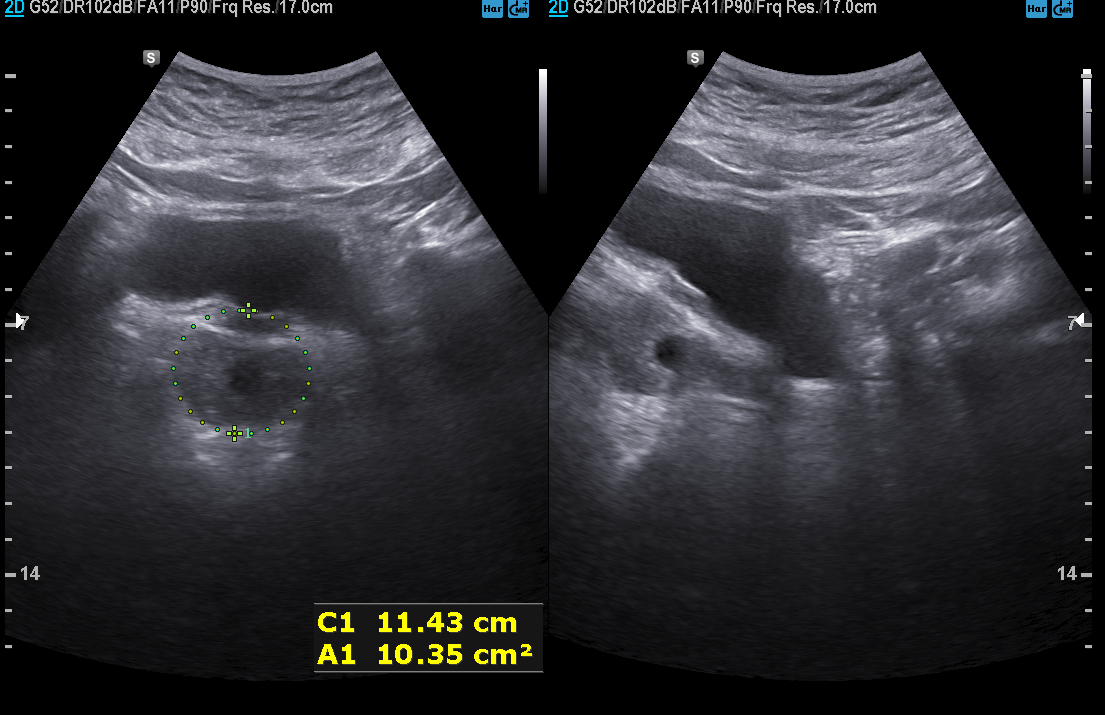
| field | value |
|---|---|
| modality | genitourinary ultrasound |